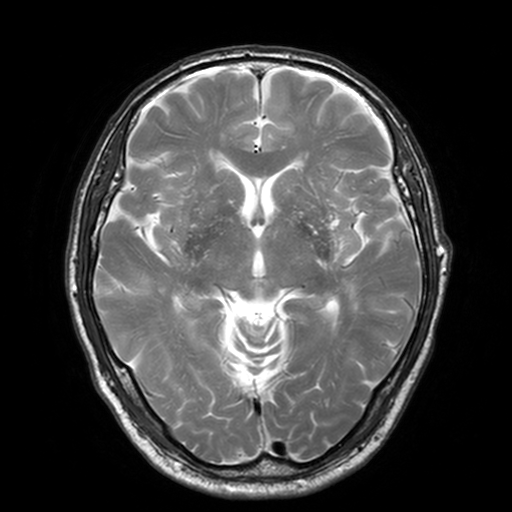
3 Tesla brain MRI.
Series: T2-weighted turbo spin echo, 3 mm.
Study: ring-enhancing brain masses.